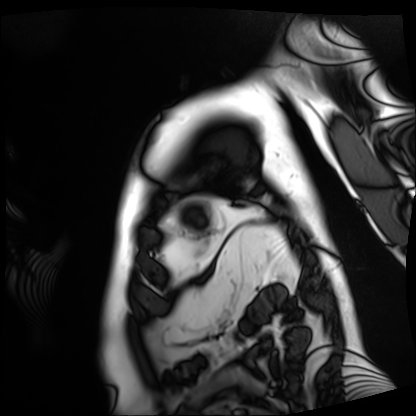
Summary:
Cardiac MRI. Subject group: patient.